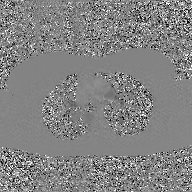
2D phase-contrast cine MRI of the ascending aorta, GAN super-resolution reconstruction.